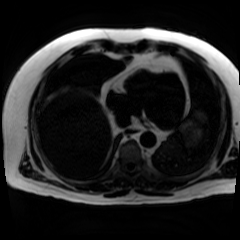
Chemical-shift-encoded cardiac MRI.